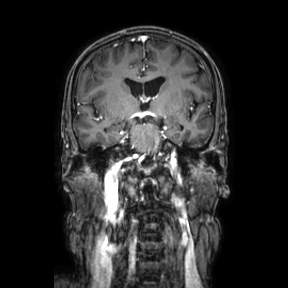
3 Tesla brain MRI. Study: ring-enhancing brain masses.